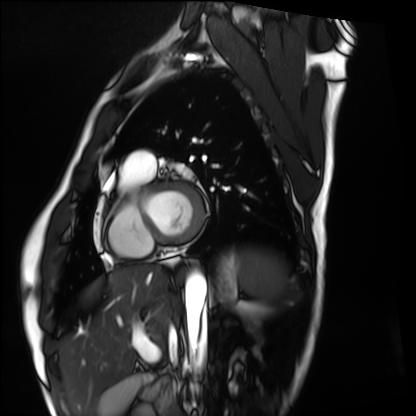
Clinical context:
Cardiac MRI. Subject group: healthy volunteer.